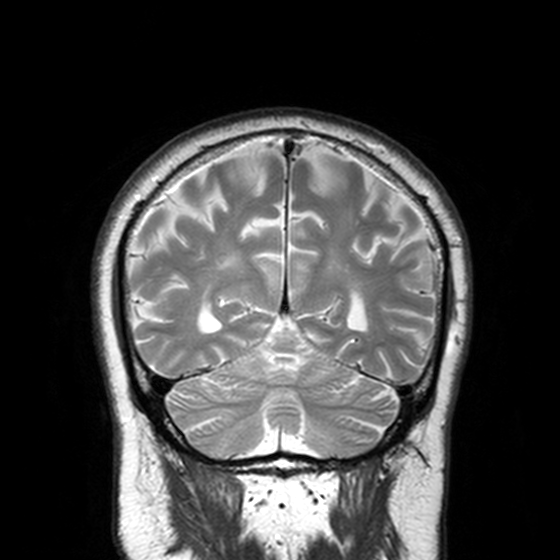
modality = 3 Tesla brain MRI; series = T2-weighted turbo spin echo, 3 mm; study = ring-enhancing brain masses.